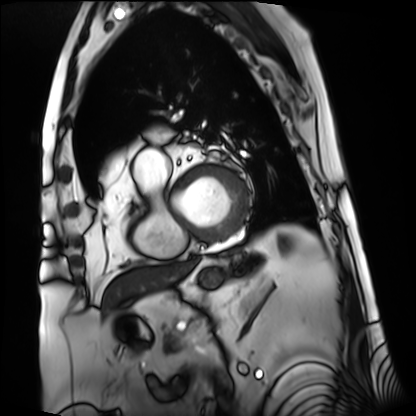
Case summary: Cardiac MRI. Subject group: patient.